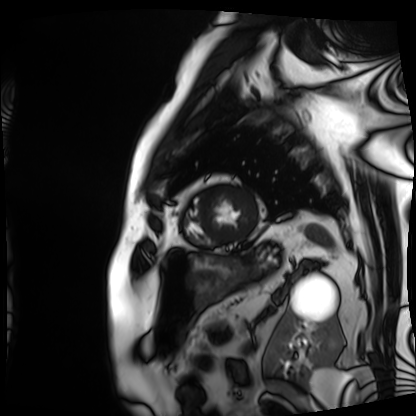
modality — cardiac MRI | subject group — patient.